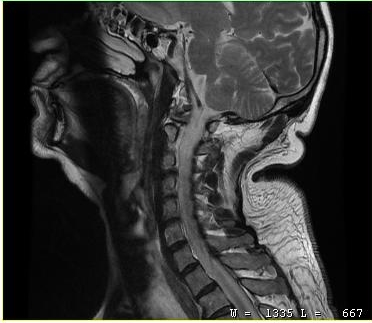
Q: What kind of scan is this?
A: MRI of the cervical spine.
Study: cervical spondylosis.